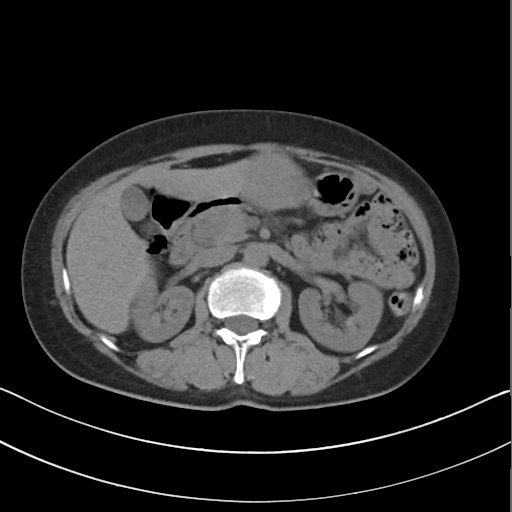
Multiphase abdominal CT, liver, non-contrast phase.
Patient: female, age 56.